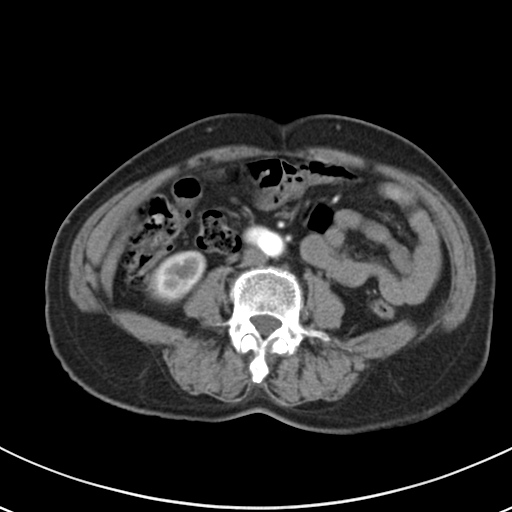
Multiphase abdominal CT, liver, arterial phase.
Patient: female, age 61.